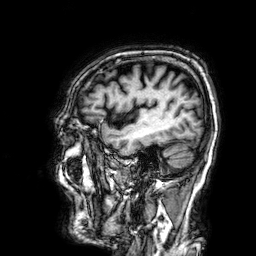
<case>
  <modality>
    <type>brain MRI</type>
    <field_strength>3T</field_strength>
  </modality>
  <series>3D T1-weighted</series>
  <study_topic>ring-enhancing brain masses</study_topic>
</case>